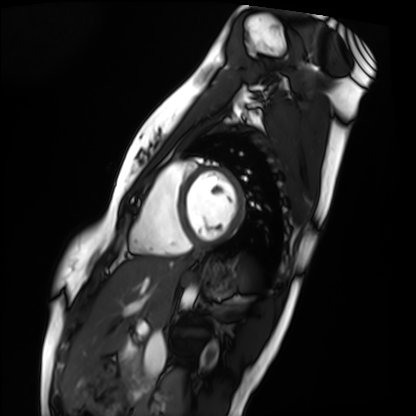
modality = cardiac MRI | subject group = healthy volunteer.